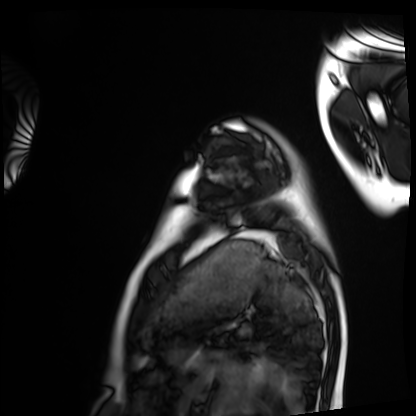
Cardiac MRI. Subject group: healthy volunteer.